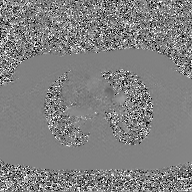
- modality — 2D phase-contrast cine MRI of the ascending aorta, GAN super-resolution reconstruction